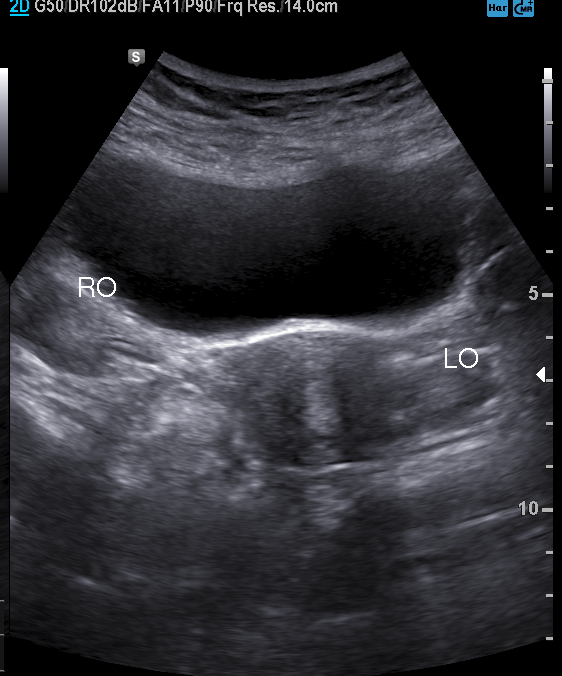
Genitourinary ultrasound.